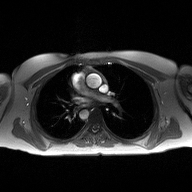
2D phase-contrast cine MRI of the ascending aorta, high-resolution GRAPPA acquisition.